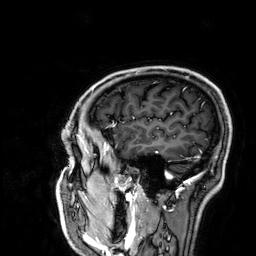
| field | value |
|---|---|
| modality | 3 Tesla brain MRI |
| series | 3D T1-weighted |
| study | ring-enhancing brain masses |